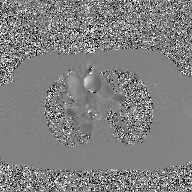
2D phase-contrast cine MRI of the ascending aorta, GAN super-resolution reconstruction.